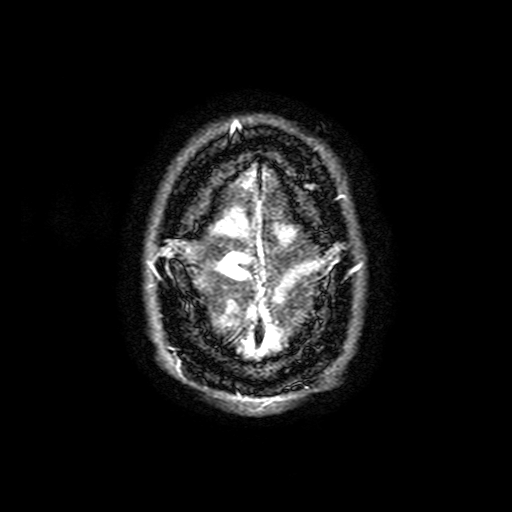
3 Tesla brain MRI.
Series: FLAIR with SPAIR, 3 mm.
Study: ring-enhancing brain masses.